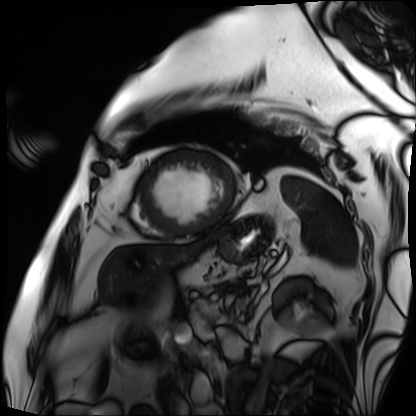
modality: cardiac MRI
subject group: patient